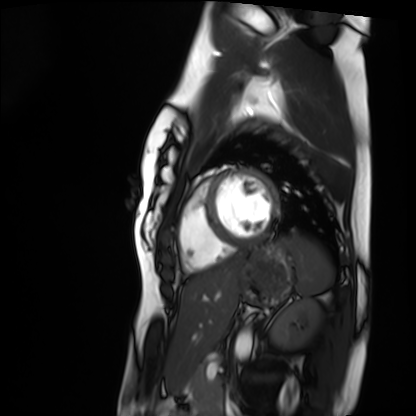
Q: What kind of scan is this?
A: Cardiac MRI.
Subject group: healthy volunteer.